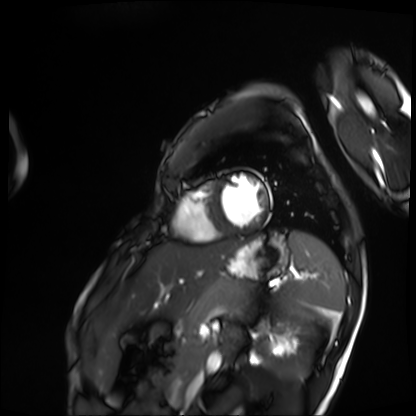
modality=cardiac MRI | subject group=patient.